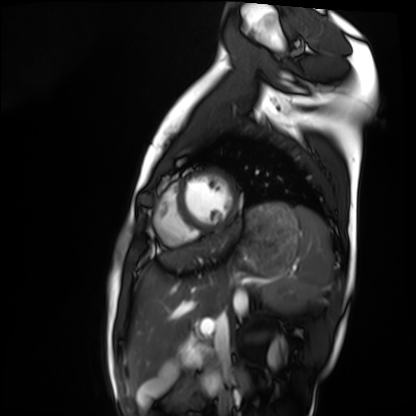
Cardiac MRI. Subject group: healthy volunteer.